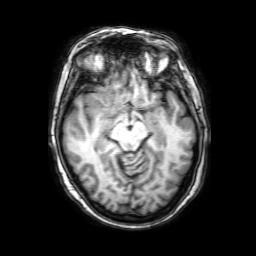
3 Tesla brain MRI. Study: ring-enhancing brain masses.